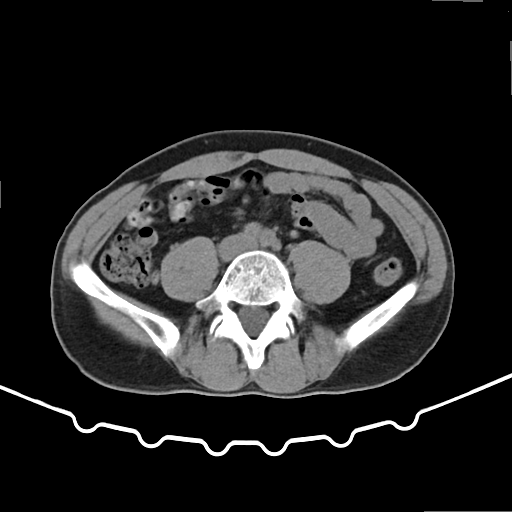
Summary: Multiphase abdominal CT, liver, non-contrast phase. Patient: male, age 51.